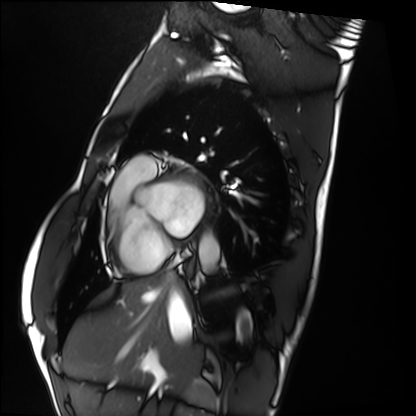
modality=cardiac MRI
subject group=healthy volunteer